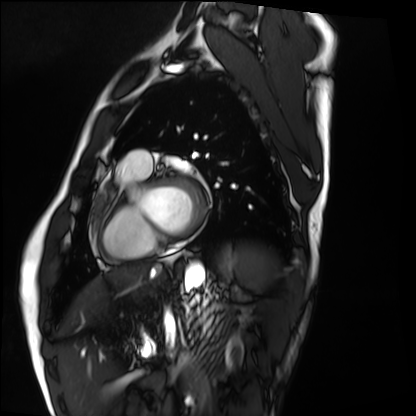
  modality: cardiac MRI
  cohort: healthy volunteer